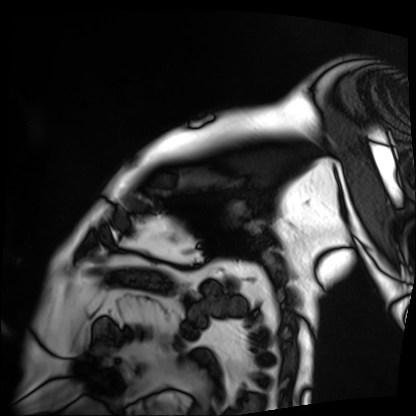
Cardiac MRI.
Subject group: patient.